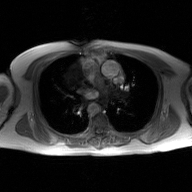
{
  "modality": {
    "type": "2D phase-contrast cine MRI",
    "region": "ascending aorta",
    "reconstruction": "GAN super-resolution reconstruction"
  }
}